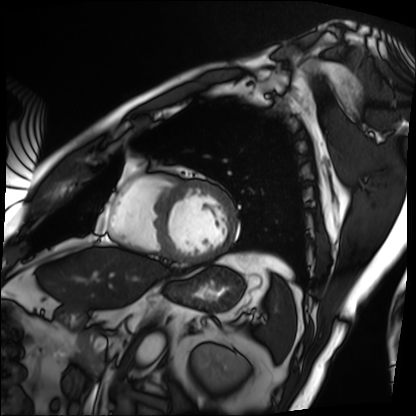
Clinical context:
Cardiac MRI. Subject group: patient.